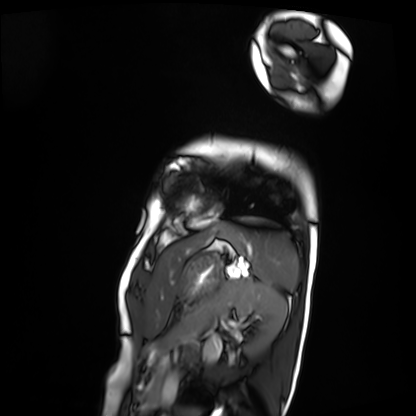
modality = cardiac MRI, subject group = patient.